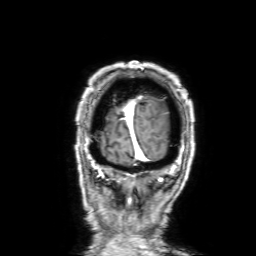
Summary:
3 Tesla brain MRI. Series: 3D T1-weighted with SENSE. Study: ring-enhancing brain masses.